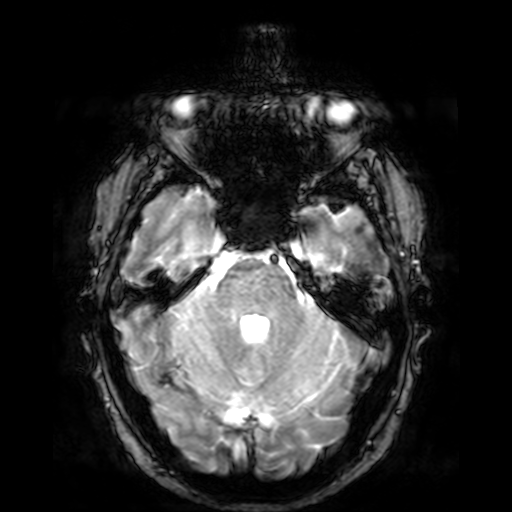
  modality:
    type: brain MRI
    field_strength: 3T
  series: T2-weighted fast field echo
  study_topic: ring-enhancing brain masses